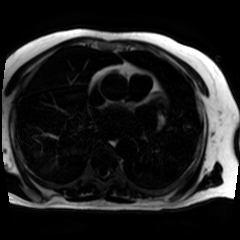
Chemical-shift-encoded cardiac MRI.